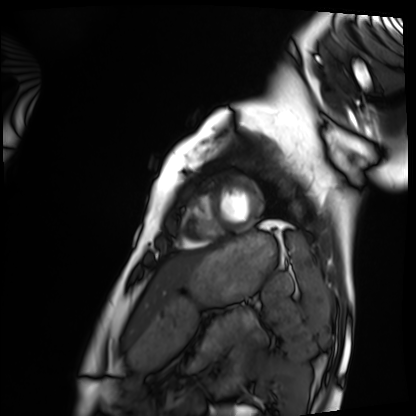
{
  "modality": "cardiac MRI",
  "cohort": "healthy volunteer"
}